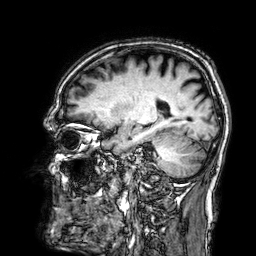
{"modality": {"type": "brain MRI", "field_strength": "3T"}, "series": "3D T1-weighted", "study_topic": "ring-enhancing brain masses"}